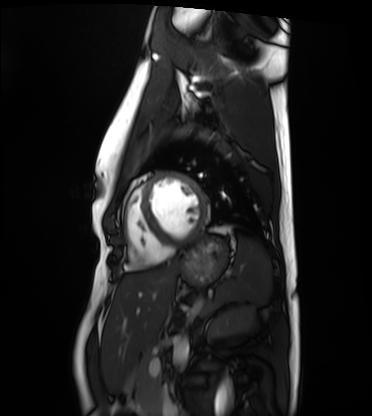
Cardiac MRI.
Subject group: healthy volunteer.